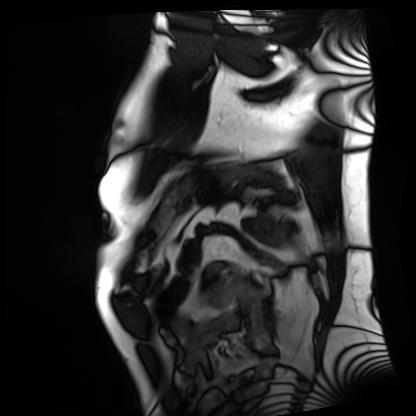
modality=cardiac MRI | subject group=patient.